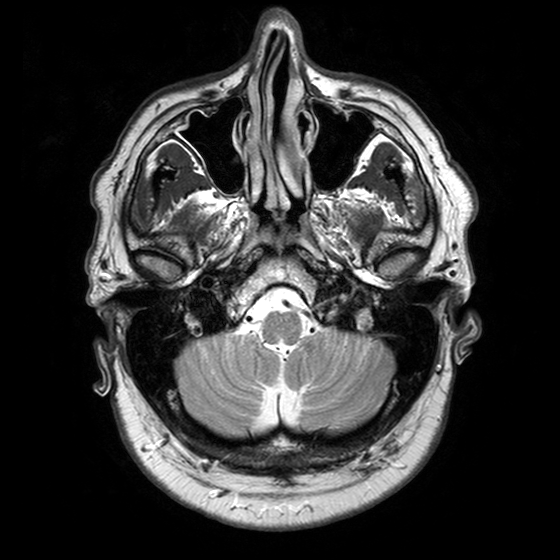
3 Tesla brain MRI. Study: ring-enhancing brain masses.